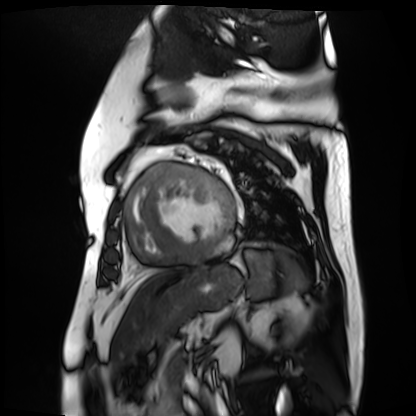
Cardiac MR image of the myocardium.
Subject cohort: cardiac patient.